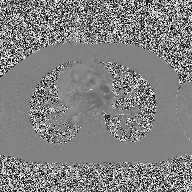
2D phase-contrast cine MRI of the ascending aorta, high-resolution GRAPPA acquisition.